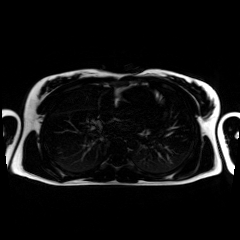
• modality — chemical-shift-encoded cardiac MRI